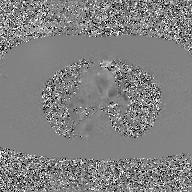
2D phase-contrast cine MRI of the ascending aorta, GAN super-resolution reconstruction.